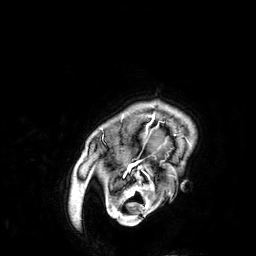
modality = 3 Tesla brain MRI
series = 3D T1-weighted
study = ring-enhancing brain masses